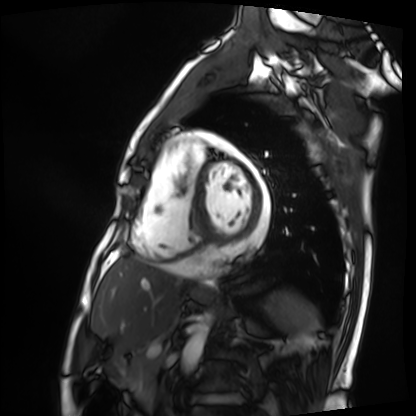
Case summary: Cardiac MRI. Subject group: patient.